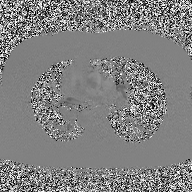
Clinical context:
2D phase-contrast cine MRI of the ascending aorta, high-resolution GRAPPA acquisition.